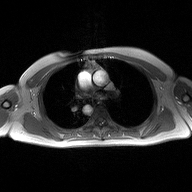
2D phase-contrast cine MRI of the ascending aorta, high-resolution GRAPPA acquisition.